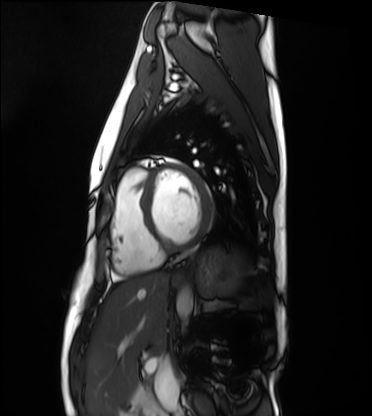
Cardiac MRI.
Subject group: healthy volunteer.